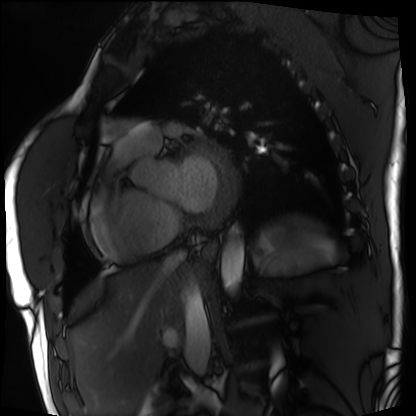
Cardiac MRI. Subject group: patient.